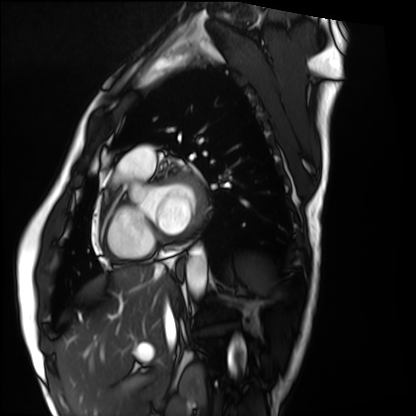
<study>
<modality>cardiac MRI</modality>
<cohort>healthy volunteer</cohort>
</study>